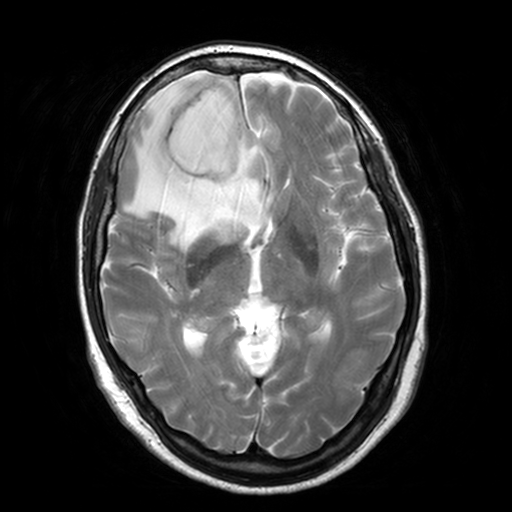
{"modality": {"type": "brain MRI", "field_strength": "3T"}, "series": "T2-weighted turbo spin echo, 3 mm", "study_topic": "ring-enhancing brain masses"}